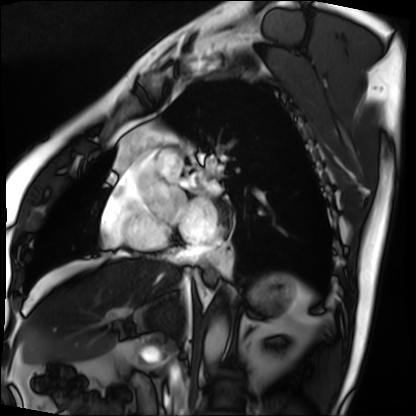
modality=cardiac MRI
subject group=patient